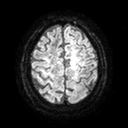
3 Tesla brain MRI.
Series: diffusion tensor imaging (medium iso).
Study: ring-enhancing brain masses.